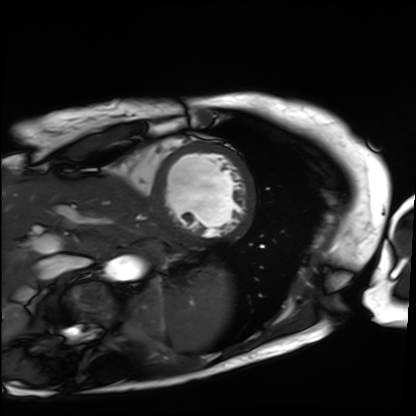
Case:
– modality — cardiac MRI
– subject group — patient